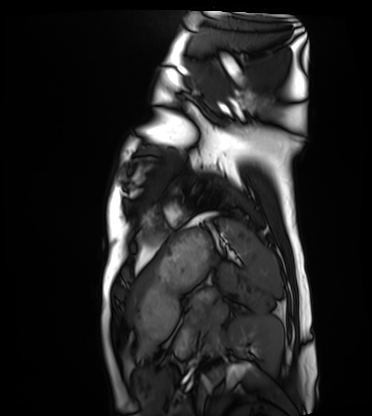
Cardiac MRI. Subject group: healthy volunteer.